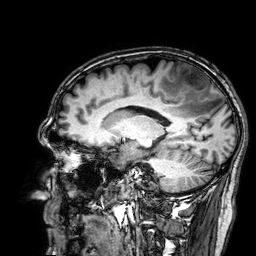
modality = 3 Tesla brain MRI
series = 3D T1-weighted
study = ring-enhancing brain masses